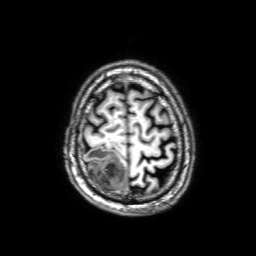
Q: What kind of scan is this?
A: 3 Tesla brain MRI.
Q: Series?
A: 3D T1-weighted with SENSE.
Study: ring-enhancing brain masses.